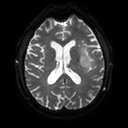
modality=3 Tesla brain MRI | series=diffusion tensor imaging (medium iso) | study=ring-enhancing brain masses.